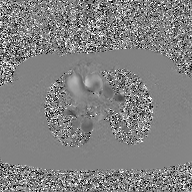
| field | value |
|---|---|
| modality | 2D phase-contrast cine MRI of the ascending aorta, GAN super-resolution reconstruction |